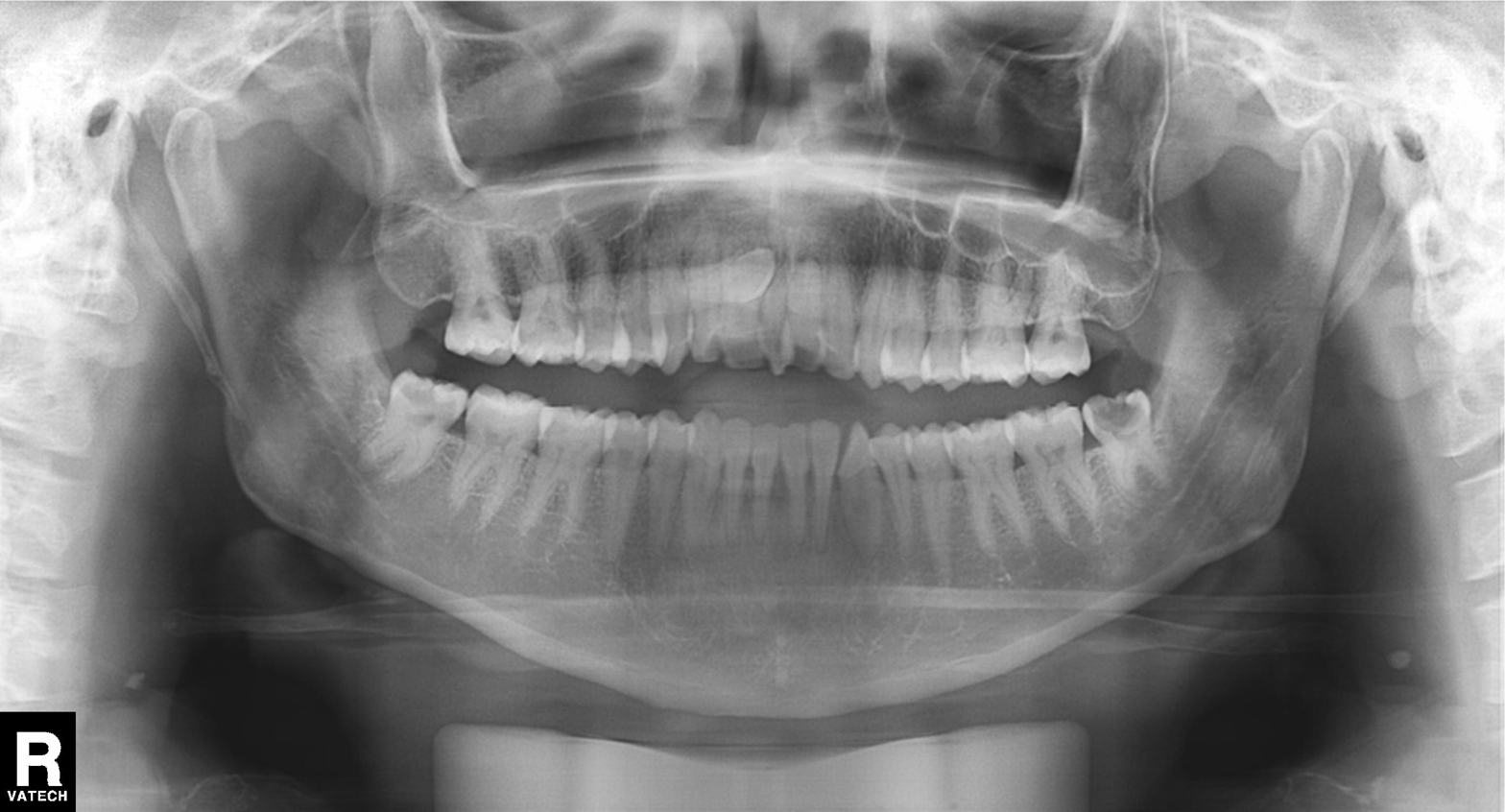
Panoramic dental radiograph (orthopantomogram).
Finding: dental caries (cavities).